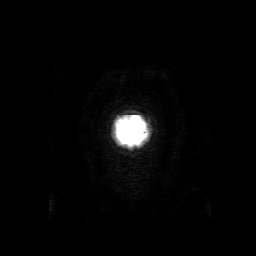
modality: 3 Tesla brain MRI; series: 3D T1-weighted with SENSE; study: ring-enhancing brain masses.